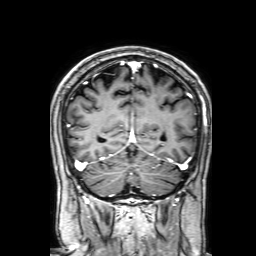
3 Tesla brain MRI. Series: 3D T1-weighted with SENSE. Study: ring-enhancing brain masses.